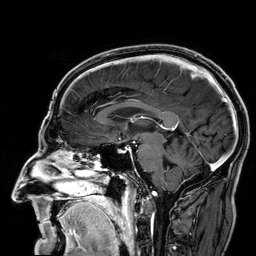
- modality — 3 Tesla brain MRI
- series — 3D T1-weighted
- study — ring-enhancing brain masses